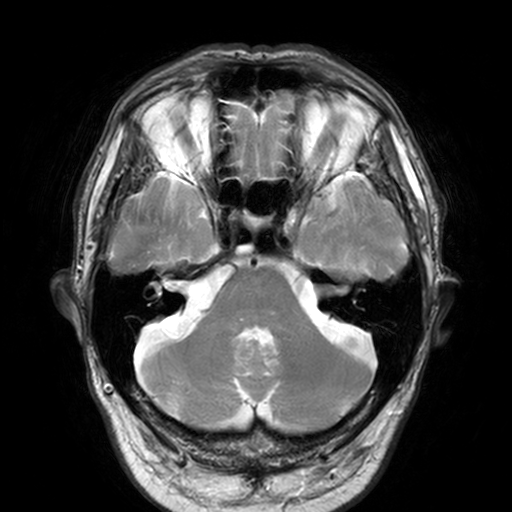
3 Tesla brain MRI. Series: T2-weighted turbo spin echo, 3 mm. Study: ring-enhancing brain masses.